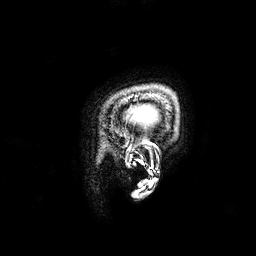
modality: 3 Tesla brain MRI | series: 3D T1-weighted | study: ring-enhancing brain masses.